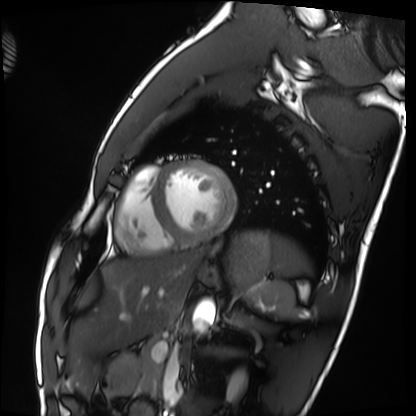
Cardiac MRI.
Subject group: healthy volunteer.